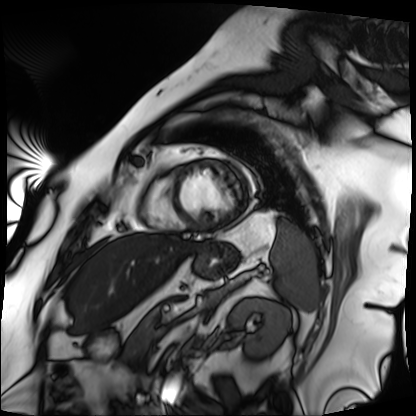
– modality — cardiac MRI
– subject group — patient